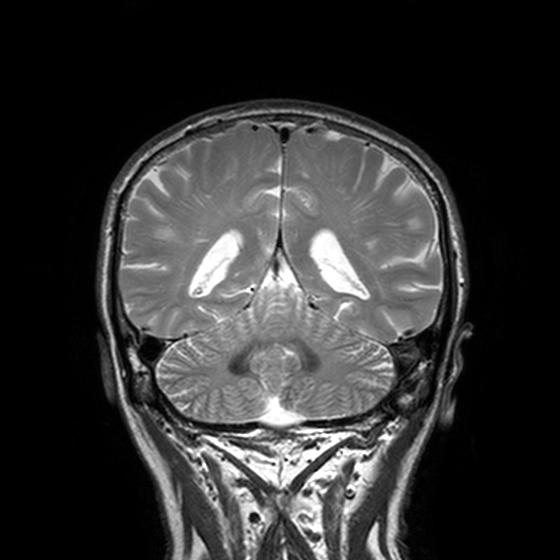
3 Tesla brain MRI. Series: T2-weighted turbo spin echo, 3 mm. Study: ring-enhancing brain masses.